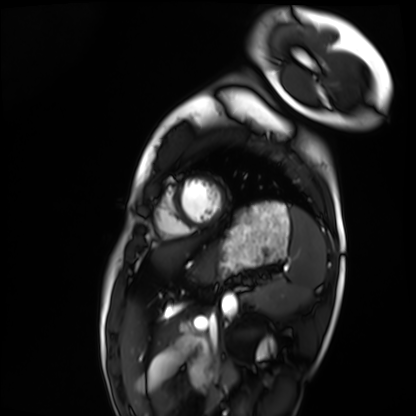
Clinical context:
Cardiac MRI. Subject group: healthy volunteer.